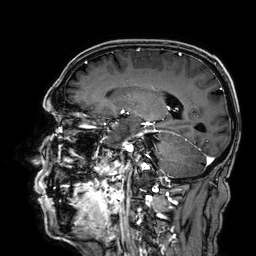
3 Tesla brain MRI. Series: 3D T1-weighted. Study: ring-enhancing brain masses.